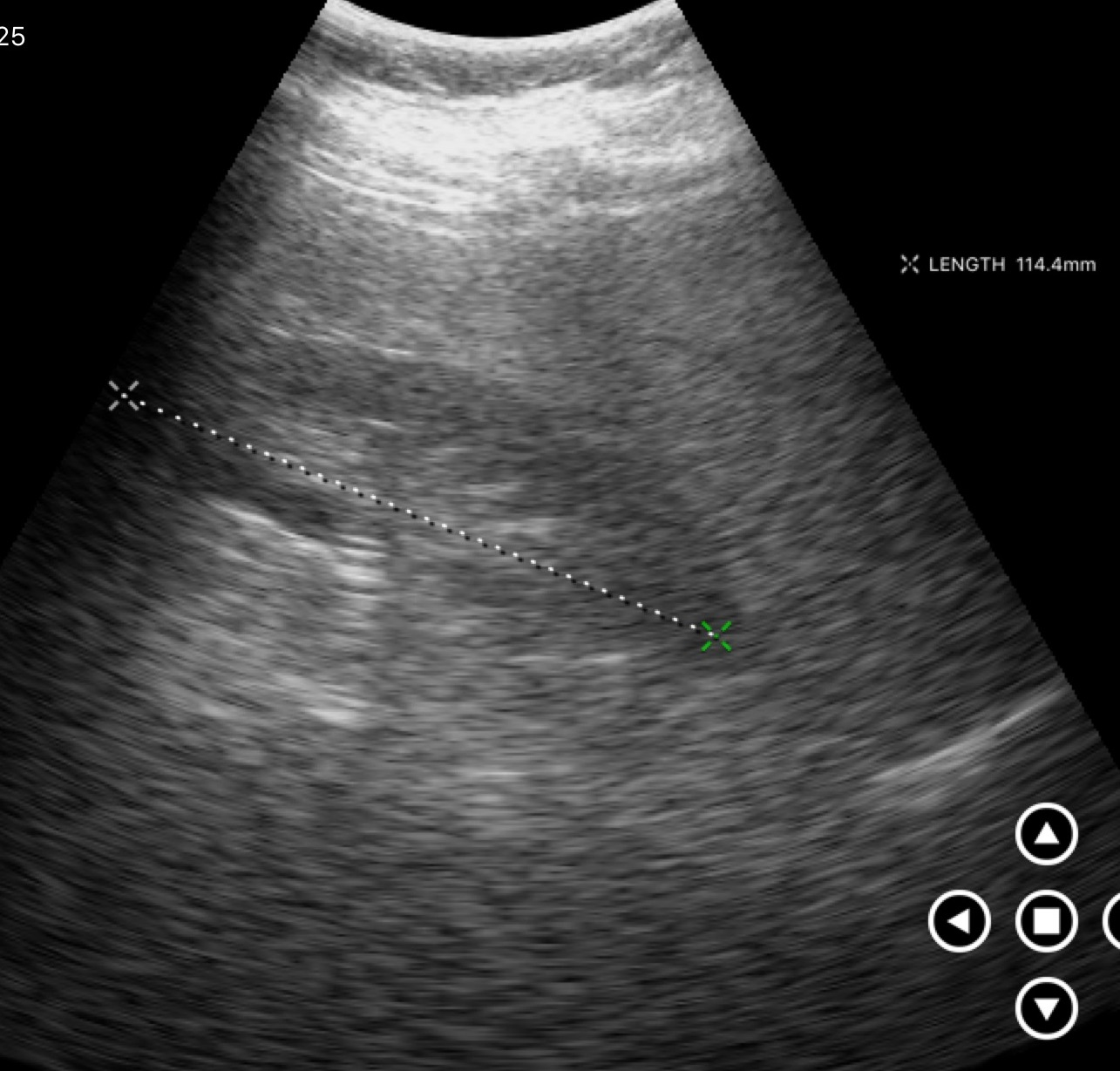
- modality — genitourinary ultrasound